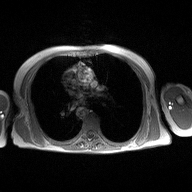
modality = 2D phase-contrast cine MRI of the ascending aorta